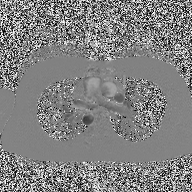
2D phase-contrast cine MRI of the ascending aorta, high-resolution GRAPPA acquisition.